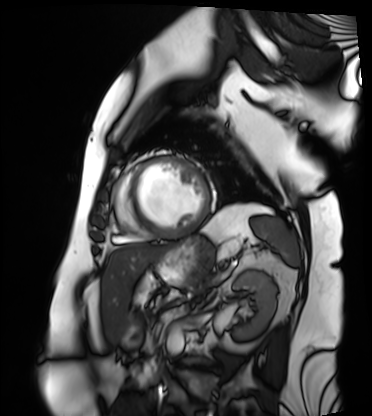
Clinical context:
Cardiac MRI. Subject group: patient.